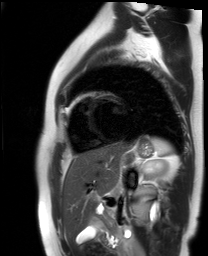
- modality · cardiac MR image of the myocardium
- subject cohort · healthy volunteer